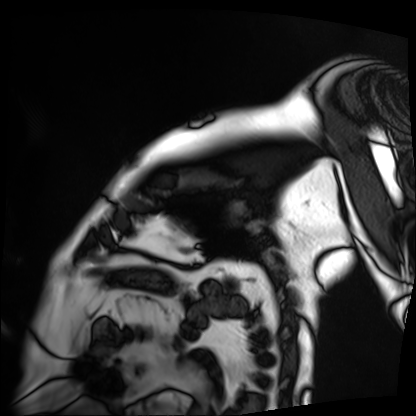
Cardiac MRI. Subject group: patient.